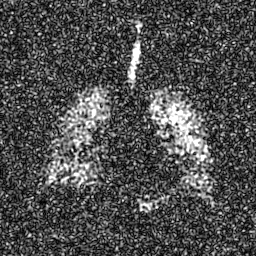
  modality: hyperpolarized 129Xe ventilation MRI of the lungs
  snr_level: 8 of 8 (the deposit holds this scan as its native image and as seven SNR-degraded versions)